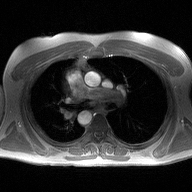
modality: 2D phase-contrast cine MRI of the ascending aorta.